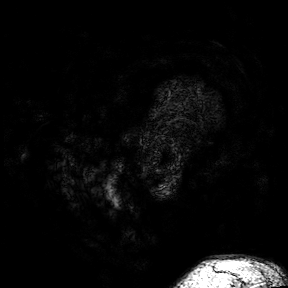
modality=3 Tesla brain MRI; series=3D T1-weighted turbo field echo with SENSE; study=ring-enhancing brain masses.